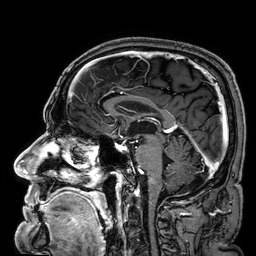
| field | value |
|---|---|
| modality | 3 Tesla brain MRI |
| series | 3D T1-weighted |
| study | ring-enhancing brain masses |